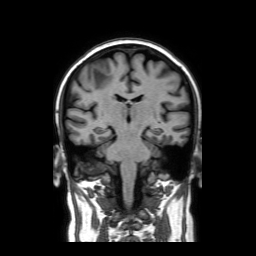
modality:
  type: brain MRI
  field_strength: 3T
series: coronal without contrast
study_topic: ring-enhancing brain masses